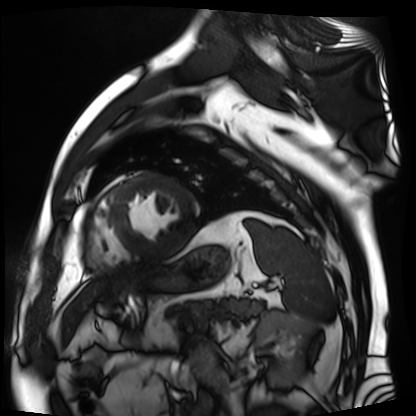
<record>
<modality>cardiac MR image of the myocardium</modality>
<cohort>cardiac patient</cohort>
</record>